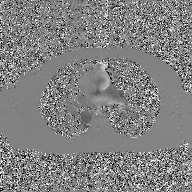
* modality: 2D phase-contrast cine MRI of the ascending aorta, GAN super-resolution reconstruction